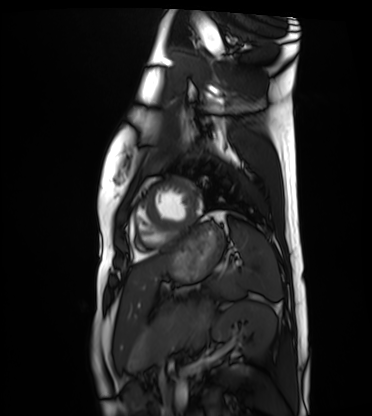
– modality: cardiac MRI
– subject group: healthy volunteer